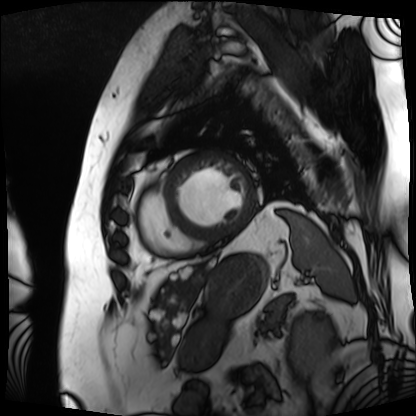
modality — cardiac MRI
subject group — patient